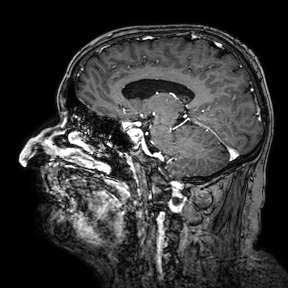
Case:
• modality: 3 Tesla brain MRI
• series: 3D T1-weighted turbo field echo with SENSE
• study: ring-enhancing brain masses